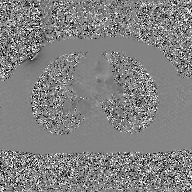
modality:
  type: 2D phase-contrast cine MRI
  region: ascending aorta
  reconstruction: GAN super-resolution reconstruction